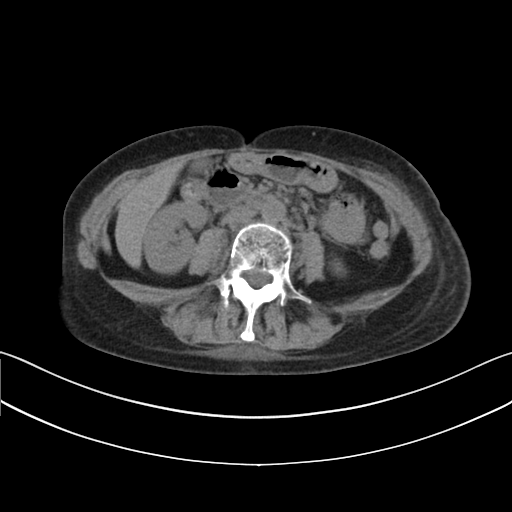
modality:
  type: multiphase abdominal CT
  region: liver
  phase: non-contrast
patient:
  sex: female
  age: 51
history:
  - prior chemotherapy